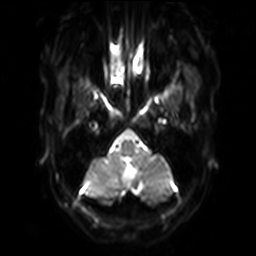
modality:
  type: brain MRI
  field_strength: 3T
series: diffusion-weighted imaging with SENSE (WIP)
study_topic: ring-enhancing brain masses